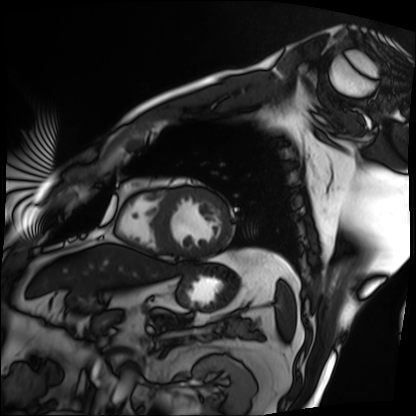
Q: What kind of scan is this?
A: Cardiac MRI.
Subject group: patient.